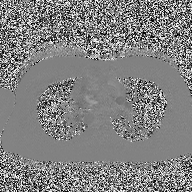
Q: What kind of scan is this?
A: 2D phase-contrast cine MRI of the ascending aorta.